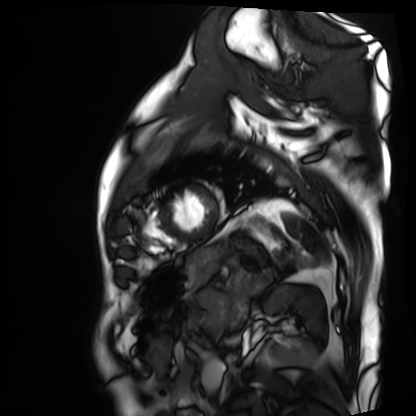
Cardiac MRI. Subject group: patient.